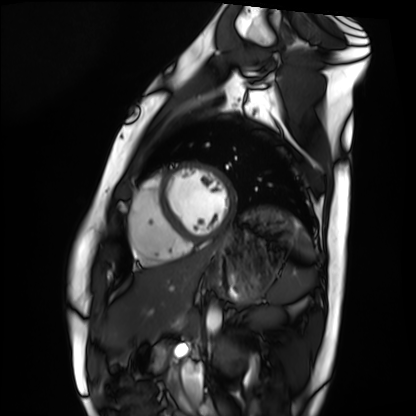
Case:
– modality: cardiac MRI
– subject group: healthy volunteer